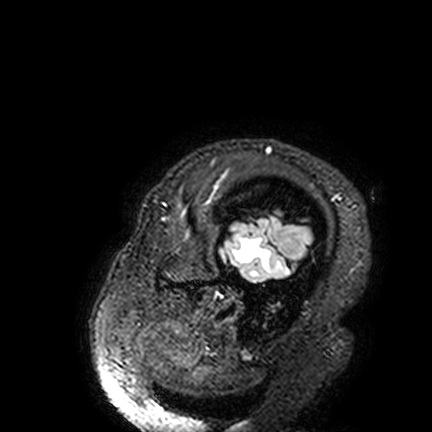
3 Tesla brain MRI. Series: FLAIR VISTA. Study: ring-enhancing brain masses.